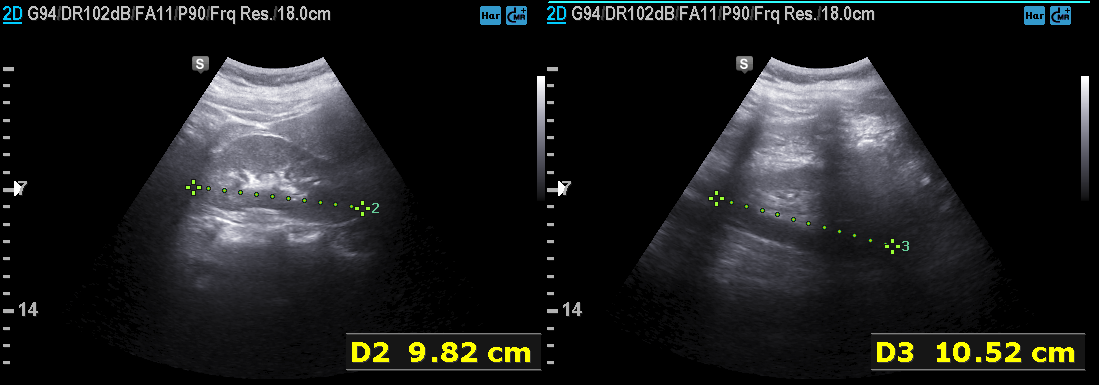
Genitourinary ultrasound.